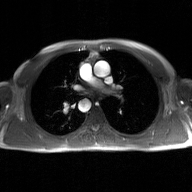
Case:
* modality: 2D phase-contrast cine MRI of the ascending aorta, GAN super-resolution reconstruction